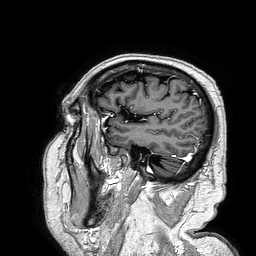
Case summary:
3 Tesla brain MRI. Study: ring-enhancing brain masses.